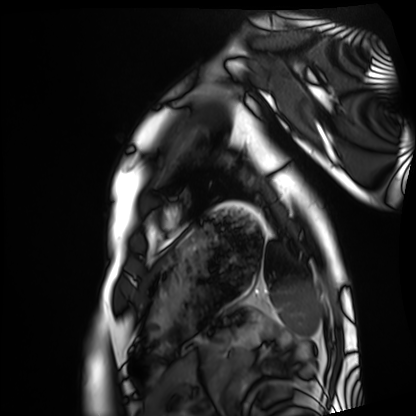
Cardiac MRI. Subject group: healthy volunteer.